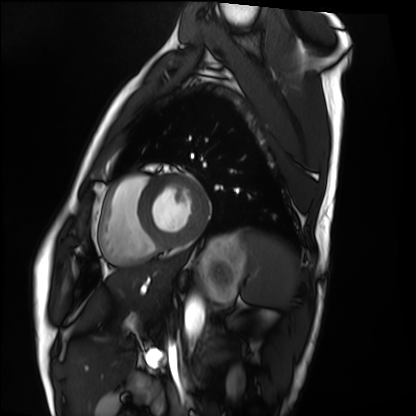
Summary:
Cardiac MRI. Subject group: healthy volunteer.